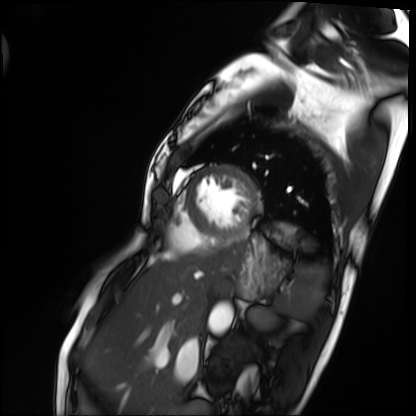
Cardiac MRI.
Subject group: patient.